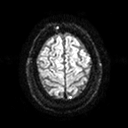
modality = 3 Tesla brain MRI | series = diffusion tensor imaging (medium iso) | study = ring-enhancing brain masses.